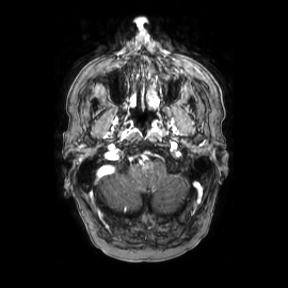
modality:
  type: brain MRI
  field_strength: 3T
series: axial
study_topic: ring-enhancing brain masses